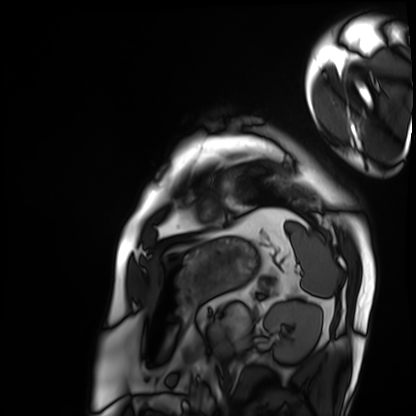
modality: cardiac MRI
subject group: patient